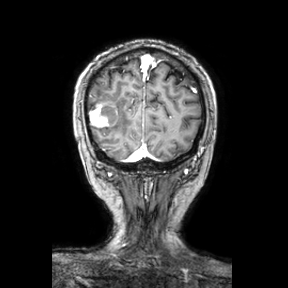
  modality:
    type: brain MRI
    field_strength: 3T
  series: coronal
  study_topic: ring-enhancing brain masses